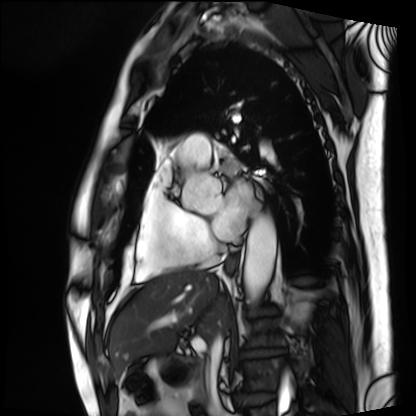
Summary:
Cardiac MRI. Subject group: patient.